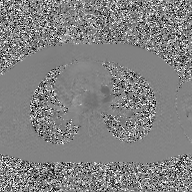
Clinical context: 2D phase-contrast cine MRI of the ascending aorta, GAN super-resolution reconstruction.